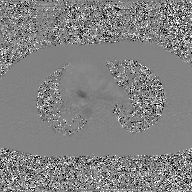
2D phase-contrast cine MRI of the ascending aorta, GAN super-resolution reconstruction.